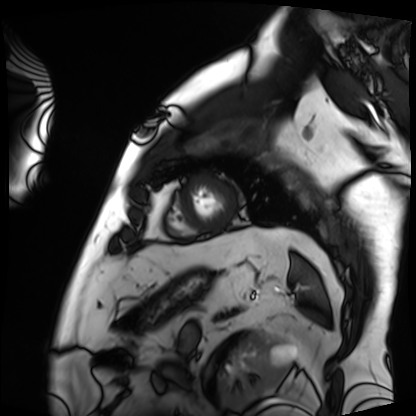
modality = cardiac MRI; subject group = patient.